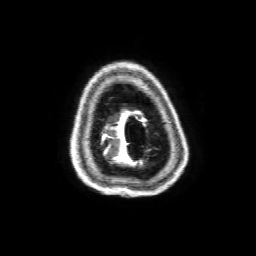
Q: What kind of scan is this?
A: 3 Tesla brain MRI.
Q: Series?
A: 3D T1-weighted with SENSE.
Study: ring-enhancing brain masses.